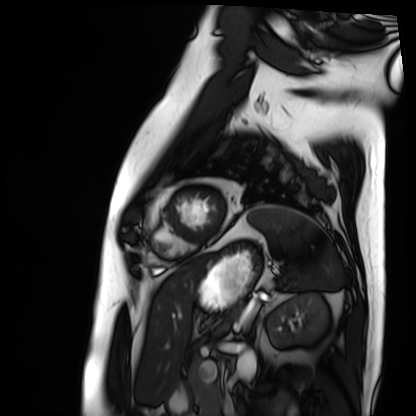
modality — cardiac MRI | subject group — patient.